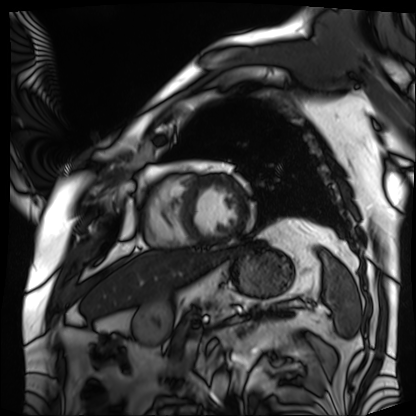
Cardiac MRI. Subject group: patient.